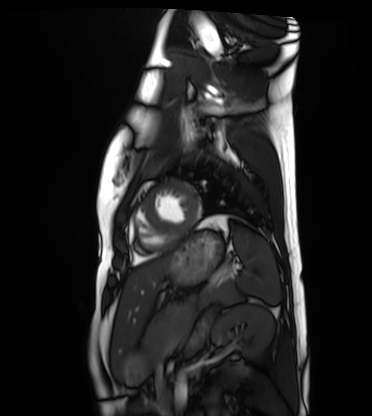
Cardiac MRI.
Subject group: healthy volunteer.